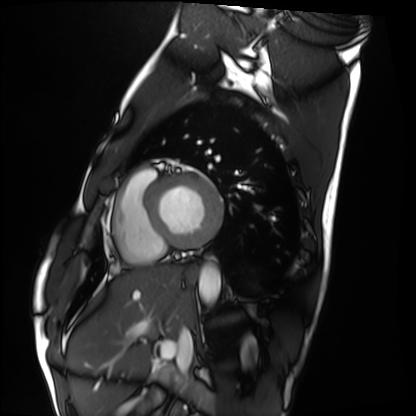
Cardiac MRI.
Subject group: healthy volunteer.